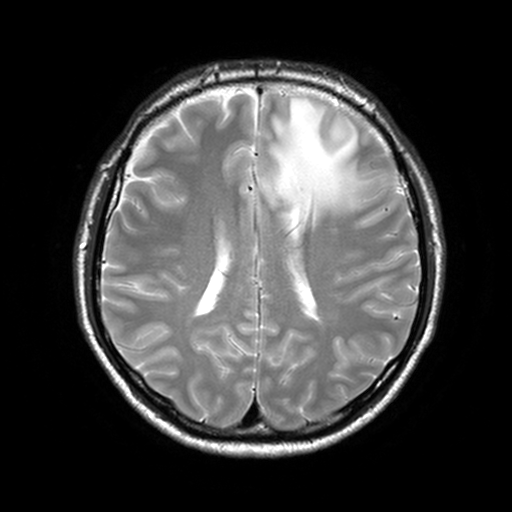
3 Tesla brain MRI. Study: ring-enhancing brain masses.